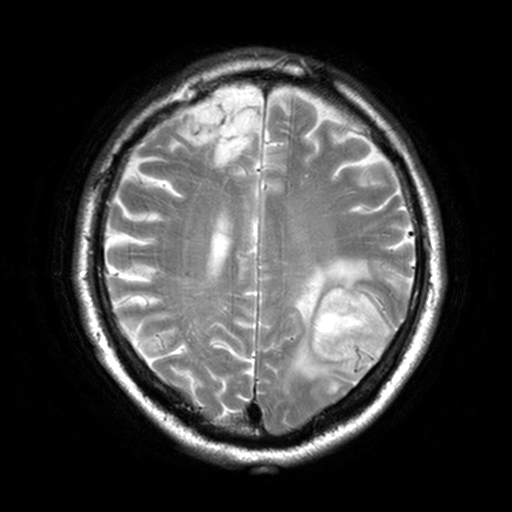
3 Tesla brain MRI. Series: T2-weighted turbo spin echo, 3 mm. Study: ring-enhancing brain masses.